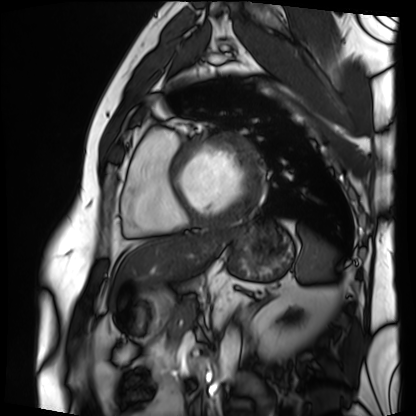
modality — cardiac MRI | subject group — patient.